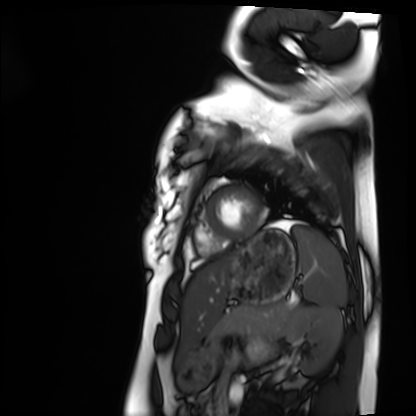
Summary: Cardiac MRI. Subject group: healthy volunteer.